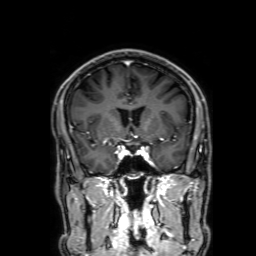
Summary: 3 Tesla brain MRI. Series: 3D T1-weighted with SENSE. Study: ring-enhancing brain masses.